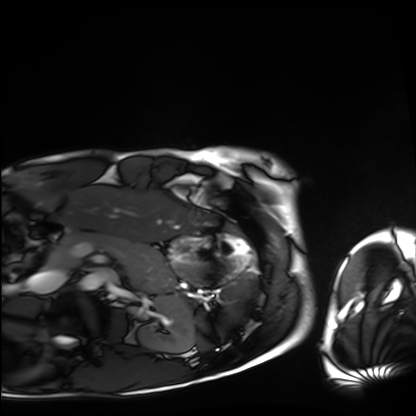
Cardiac MRI.
Subject group: healthy volunteer.